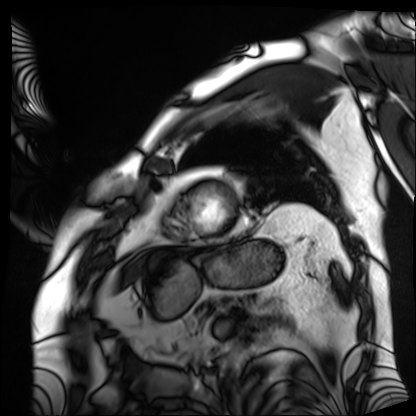
  modality: cardiac MRI
  cohort: patient